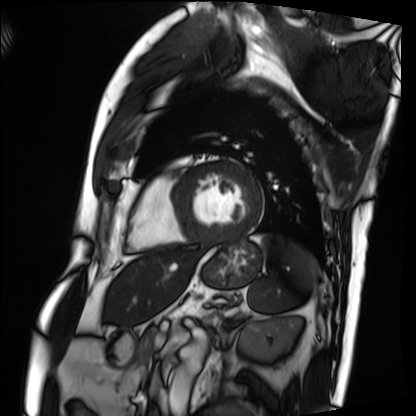
Case summary: Cardiac MRI. Subject group: patient.